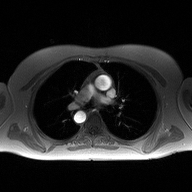
<record>
<modality>
  <type>2D phase-contrast cine MRI</type>
  <region>ascending aorta</region>
  <reconstruction>high-resolution GRAPPA acquisition</reconstruction>
</modality>
</record>